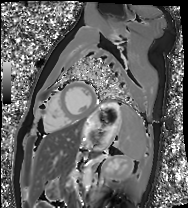
• modality · cardiac MRI
• subject group · healthy volunteer